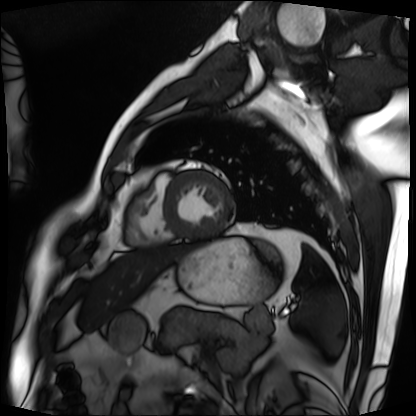
| field | value |
|---|---|
| modality | cardiac MRI |
| subject group | patient |